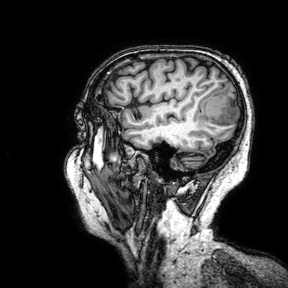
Summary:
3 Tesla brain MRI. Series: 3D T1-weighted turbo field echo with SENSE. Study: ring-enhancing brain masses.